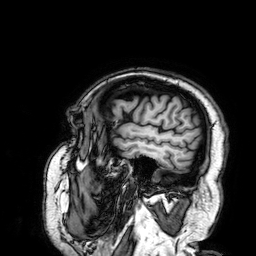
| field | value |
|---|---|
| modality | 3 Tesla brain MRI |
| series | 3D T1-weighted |
| study | ring-enhancing brain masses |